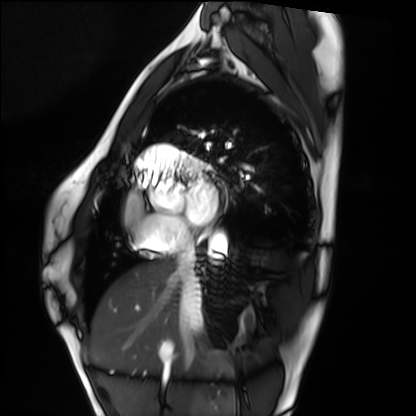
Cardiac MRI.
Subject group: healthy volunteer.